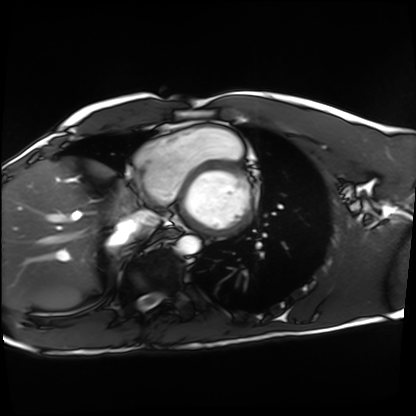
Cardiac MRI. Subject group: healthy volunteer.